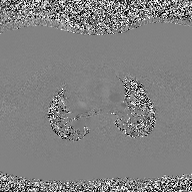
2D phase-contrast cine MRI of the ascending aorta, high-resolution GRAPPA acquisition.